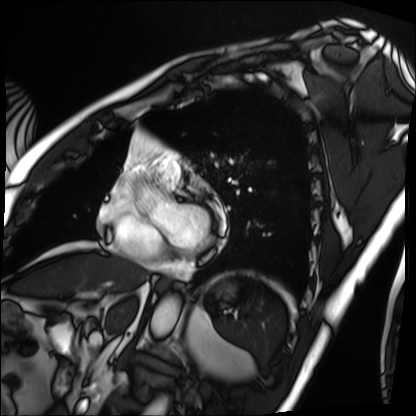
| field | value |
|---|---|
| modality | cardiac MRI |
| subject group | patient |